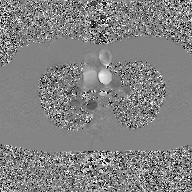
  modality:
    type: 2D phase-contrast cine MRI
    region: ascending aorta
    reconstruction: GAN super-resolution reconstruction